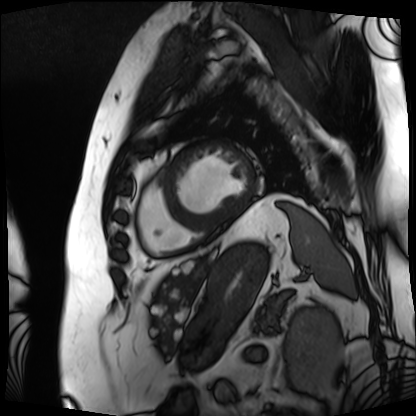
Cardiac MRI. Subject group: patient.